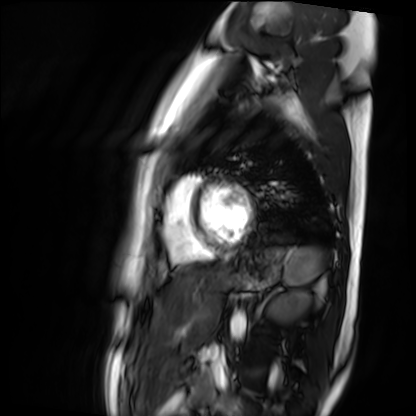
Cardiac MR image of the myocardium. Subject cohort: healthy volunteer.